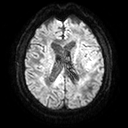
Summary: 3 Tesla brain MRI. Series: diffusion tensor imaging (medium iso). Study: ring-enhancing brain masses.